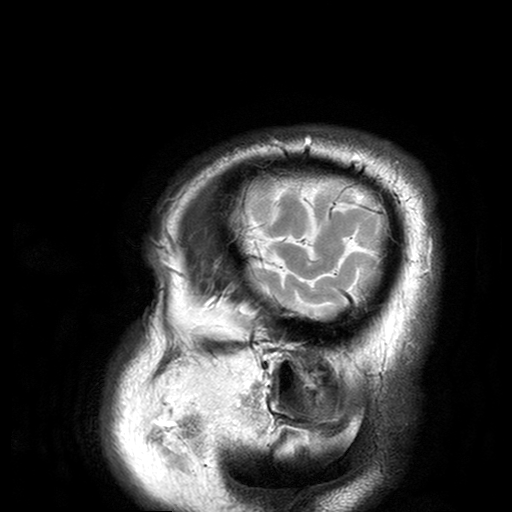
{"modality": {"type": "brain MRI", "field_strength": "3T"}, "series": "T2-weighted turbo spin echo with SENSE", "study_topic": "ring-enhancing brain masses"}